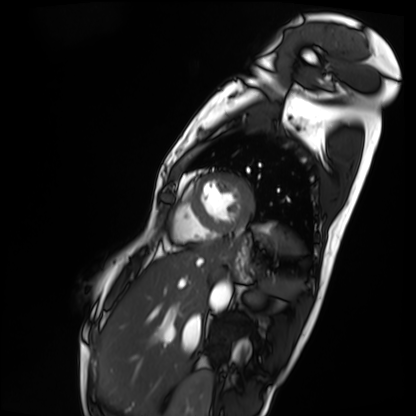
| field | value |
|---|---|
| modality | cardiac MRI |
| subject group | patient |